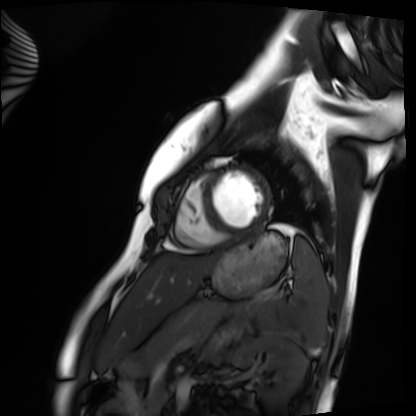
Cardiac MRI. Subject group: healthy volunteer.